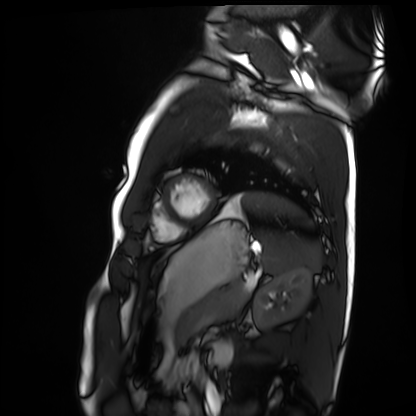
Cardiac MRI. Subject group: healthy volunteer.